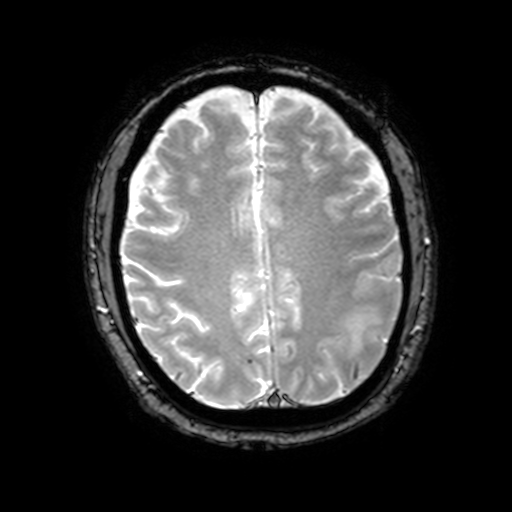
Summary: 3 Tesla brain MRI. Series: T2-weighted fast field echo with SENSE. Study: ring-enhancing brain masses.